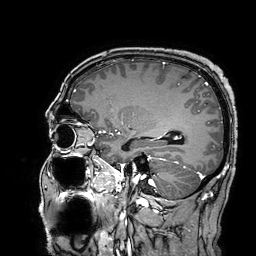
Case summary:
3 Tesla brain MRI. Series: 3D T1-weighted turbo field echo with SENSE. Study: ring-enhancing brain masses.